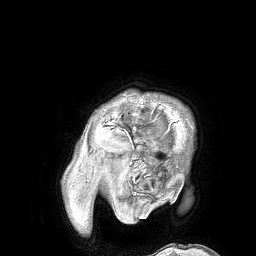
modality: 3 Tesla brain MRI
series: 3D T1-weighted turbo field echo
study: ring-enhancing brain masses